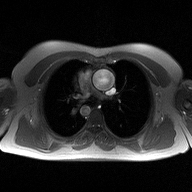
2D phase-contrast cine MRI of the ascending aorta, high-resolution GRAPPA acquisition.